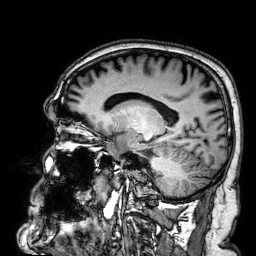
modality:
  type: brain MRI
  field_strength: 3T
series: 3D T1-weighted
study_topic: ring-enhancing brain masses